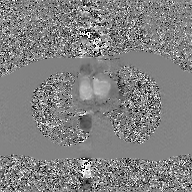
modality = 2D phase-contrast cine MRI of the ascending aorta, GAN super-resolution reconstruction.